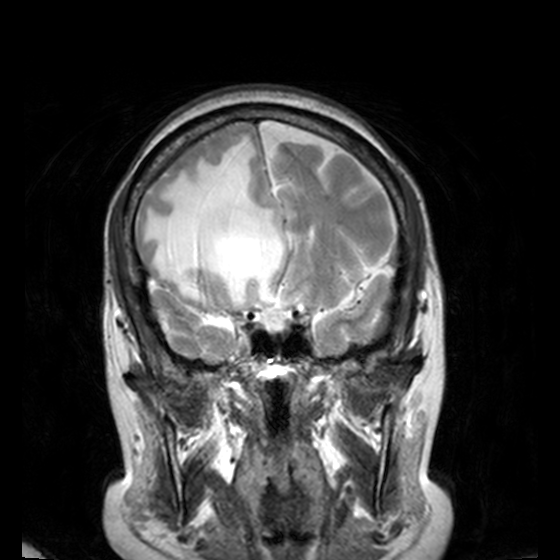
| field | value |
|---|---|
| modality | 3 Tesla brain MRI |
| series | T2-weighted turbo spin echo, 3 mm |
| study | ring-enhancing brain masses |